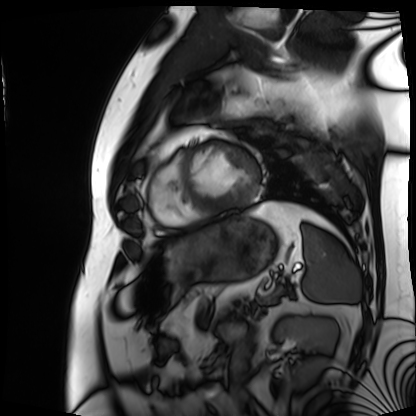
modality = cardiac MRI
subject group = patient